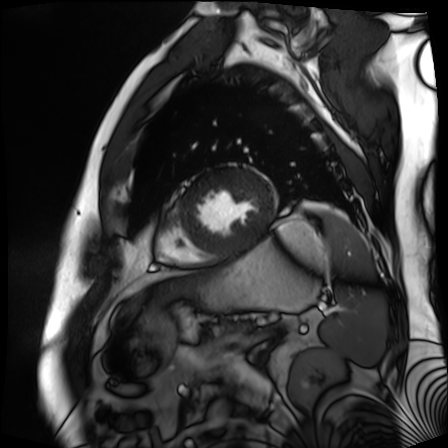
<scan>
  <modality>cardiac MR image of the myocardium</modality>
  <cohort>cardiac patient</cohort>
</scan>